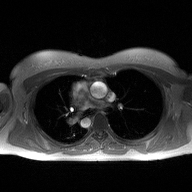
Q: What kind of scan is this?
A: 2D phase-contrast cine MRI of the ascending aorta.